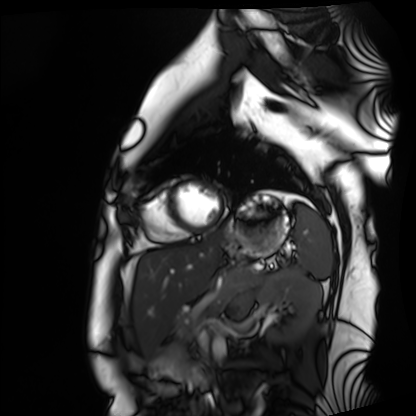
Clinical context: Cardiac MRI. Subject group: healthy volunteer.